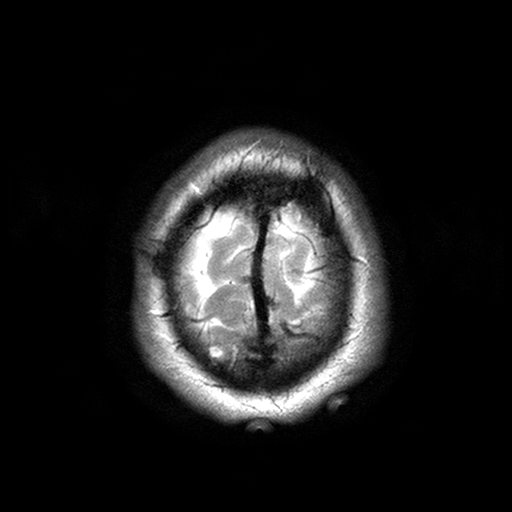
Case summary:
3 Tesla brain MRI. Series: T2-weighted turbo spin echo with SENSE. Study: ring-enhancing brain masses.